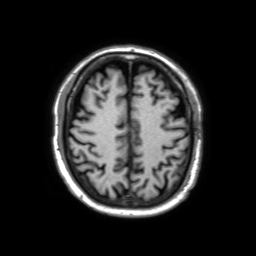
Summary:
3 Tesla brain MRI. Study: ring-enhancing brain masses.